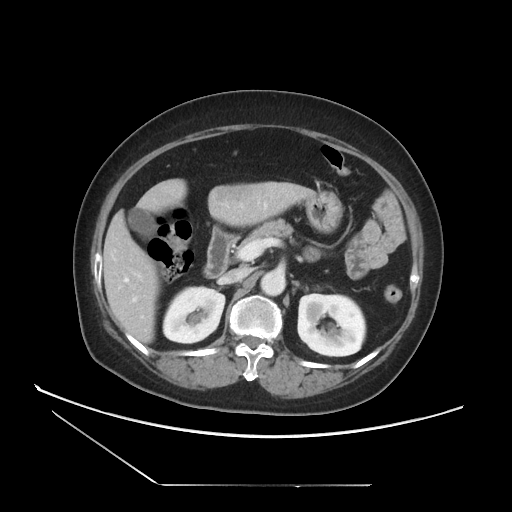
Multiphase abdominal CT, liver, portal venous phase. Patient: female, age 61.